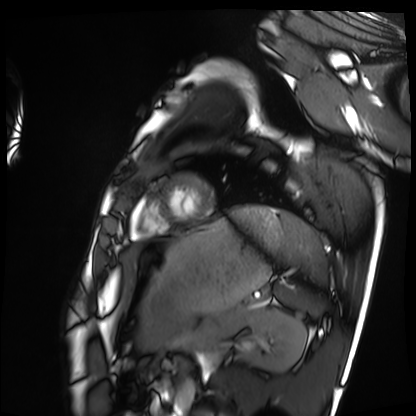
• modality: cardiac MRI
• subject group: healthy volunteer